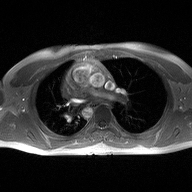
Summary: 2D phase-contrast cine MRI of the ascending aorta, high-resolution GRAPPA acquisition.